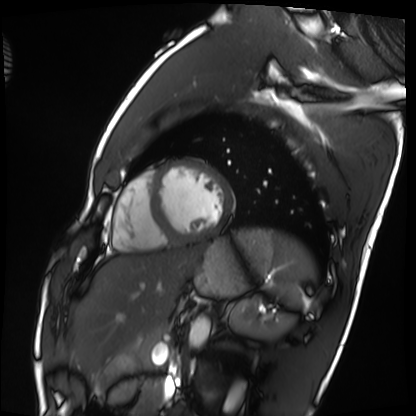
modality = cardiac MRI; subject group = healthy volunteer.